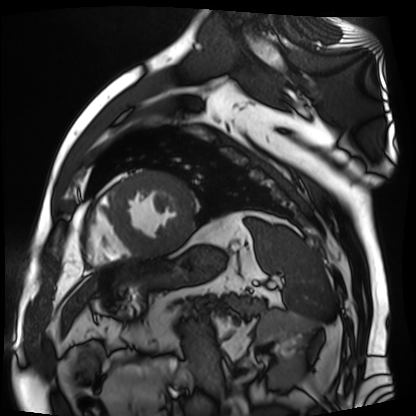
• modality · cardiac MR image of the myocardium
• subject cohort · cardiac patient